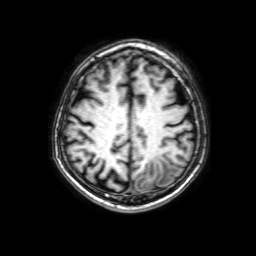
3 Tesla brain MRI. Series: 3D T1-weighted with SENSE. Study: ring-enhancing brain masses.